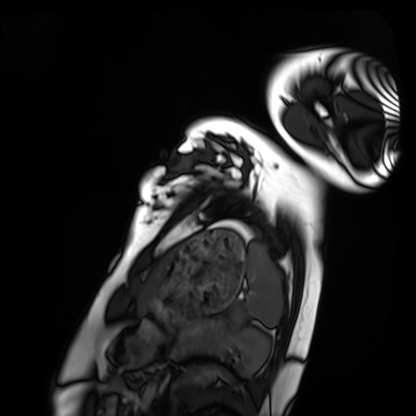
Case summary: Cardiac MRI. Subject group: healthy volunteer.